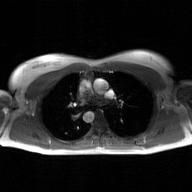
Case:
* modality: 2D phase-contrast cine MRI of the ascending aorta, GAN super-resolution reconstruction